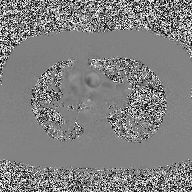
– modality — 2D phase-contrast cine MRI of the ascending aorta